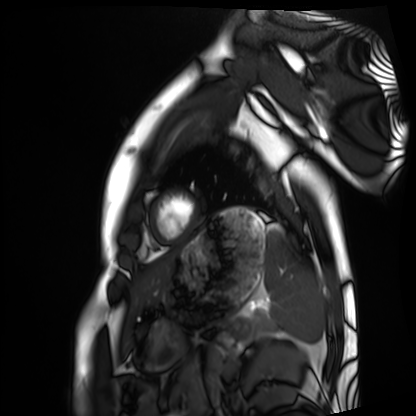
Clinical context: Cardiac MRI. Subject group: healthy volunteer.